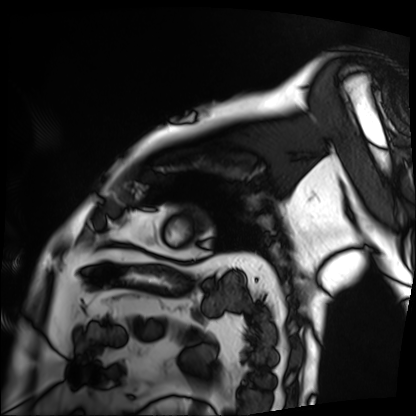
Cardiac MRI. Subject group: patient.